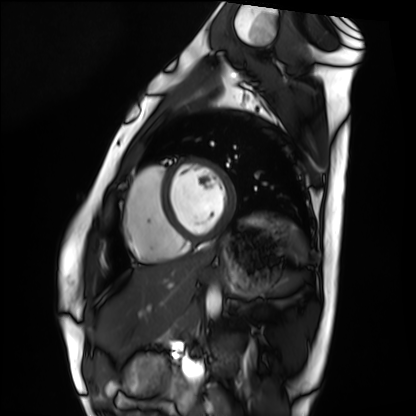
Cardiac MRI.
Subject group: healthy volunteer.